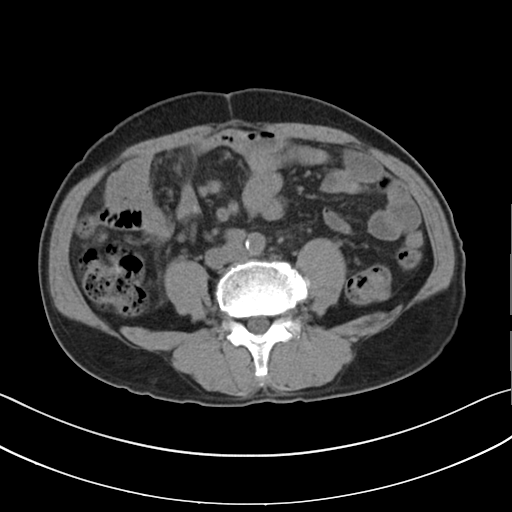
Multiphase abdominal CT, liver, non-contrast phase.